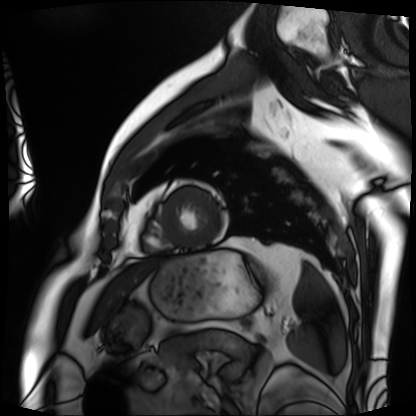
modality: cardiac MRI
cohort: patient